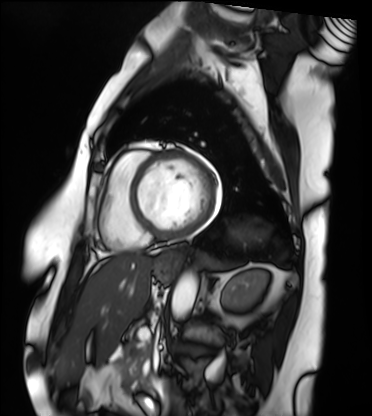
Clinical context: Cardiac MRI. Subject group: patient.